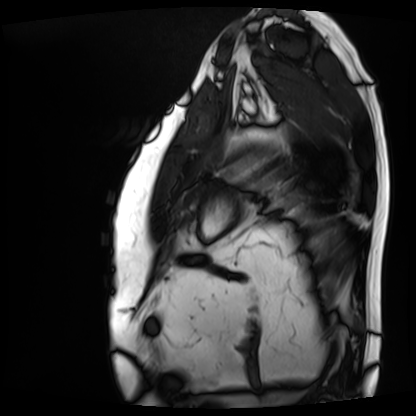
{
  "modality": "cardiac MRI",
  "cohort": "patient"
}